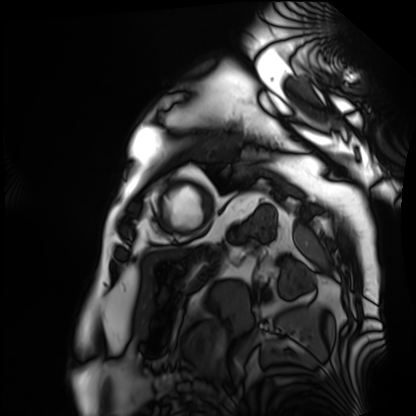
Q: What kind of scan is this?
A: Cardiac MRI.
Subject group: patient.